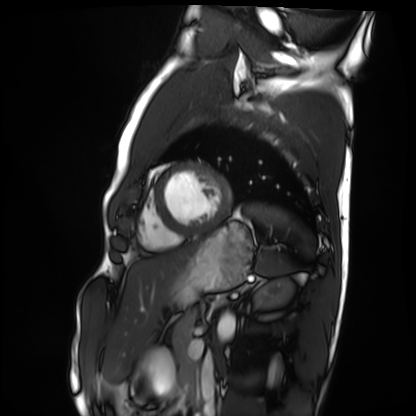
Q: What kind of scan is this?
A: Cardiac MRI.
Subject group: healthy volunteer.